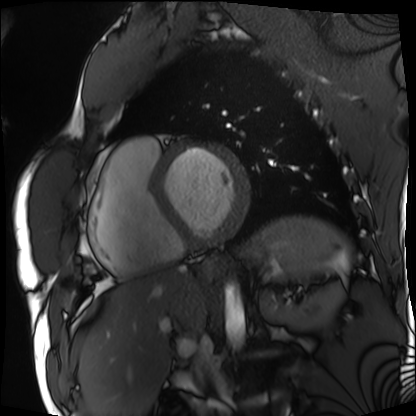
Cardiac MRI.
Subject group: patient.